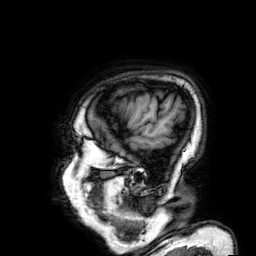
Summary:
3 Tesla brain MRI. Series: 3D T1-weighted. Study: ring-enhancing brain masses.